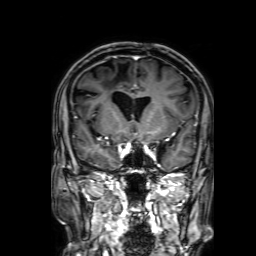
3 Tesla brain MRI. Series: 3D T1-weighted with SENSE. Study: ring-enhancing brain masses.